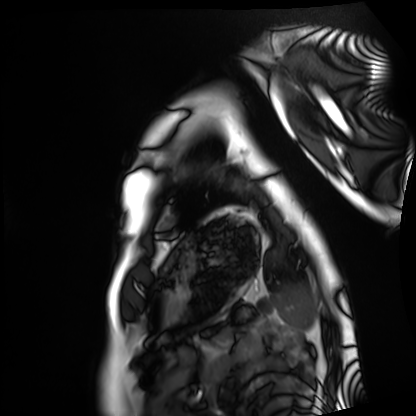
Case:
* modality · cardiac MRI
* subject group · healthy volunteer